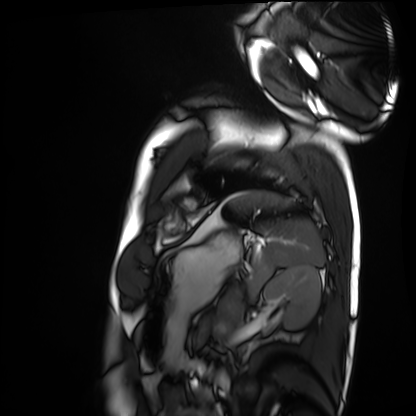
modality: cardiac MRI
subject group: healthy volunteer